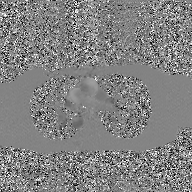
Case summary:
2D phase-contrast cine MRI of the ascending aorta, GAN super-resolution reconstruction.